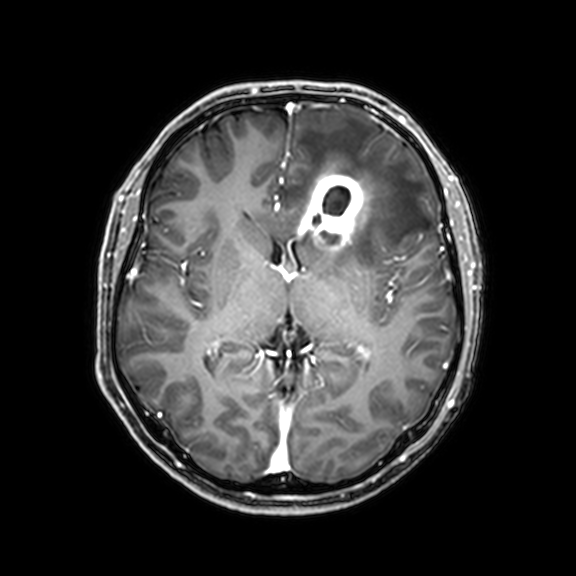
Summary:
3 Tesla brain MRI. Series: 3D T1-weighted with CLEAR. Study: ring-enhancing brain masses.